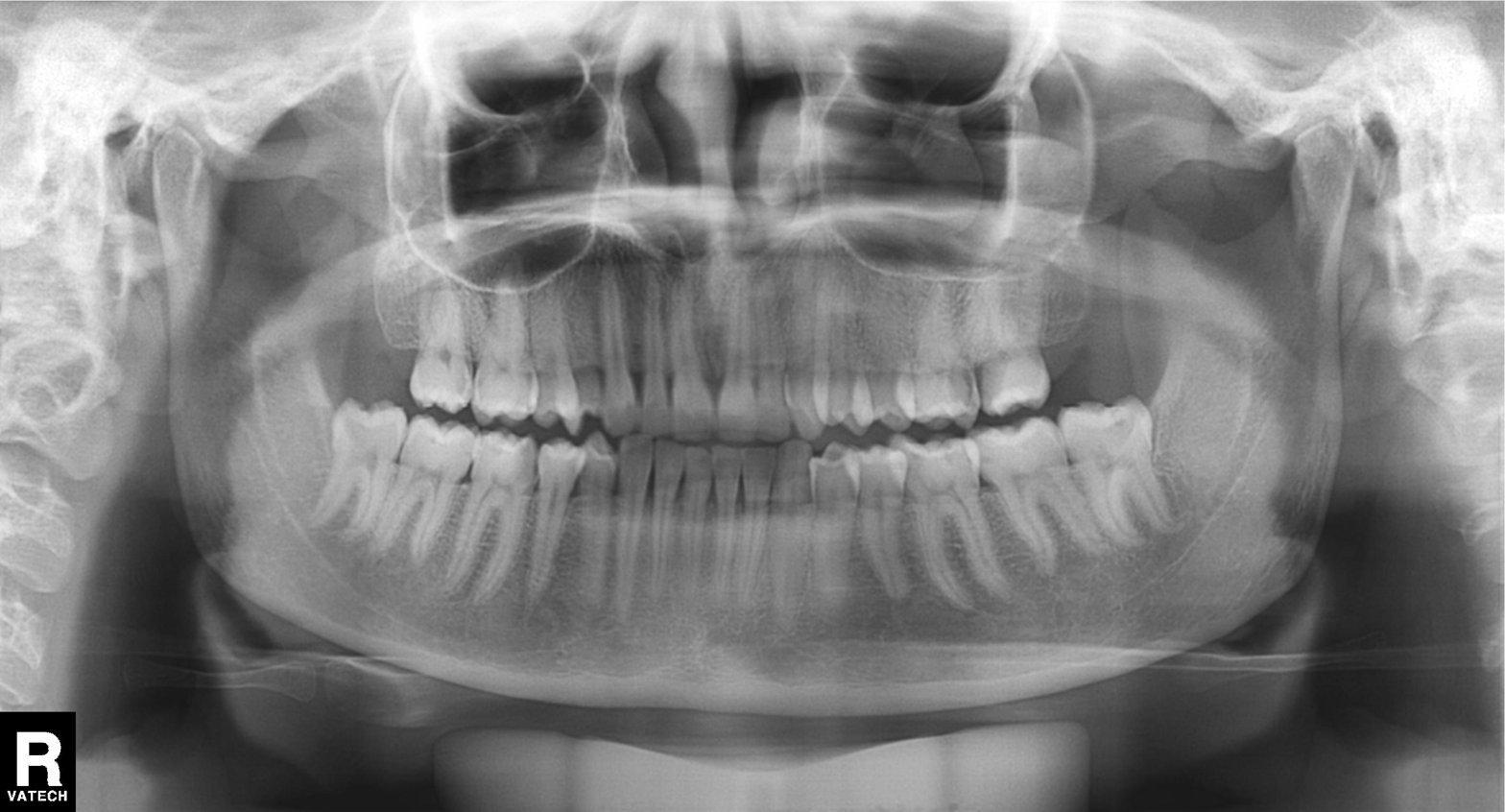
Panoramic dental radiograph (orthopantomogram). Finding: tooth impaction.